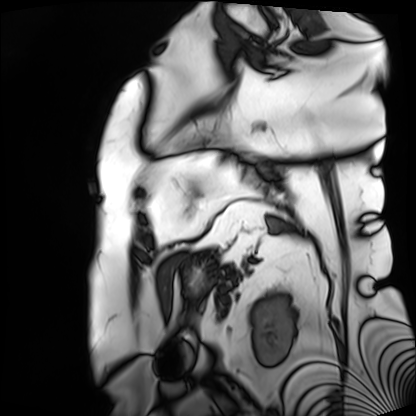
Cardiac MRI. Subject group: patient.